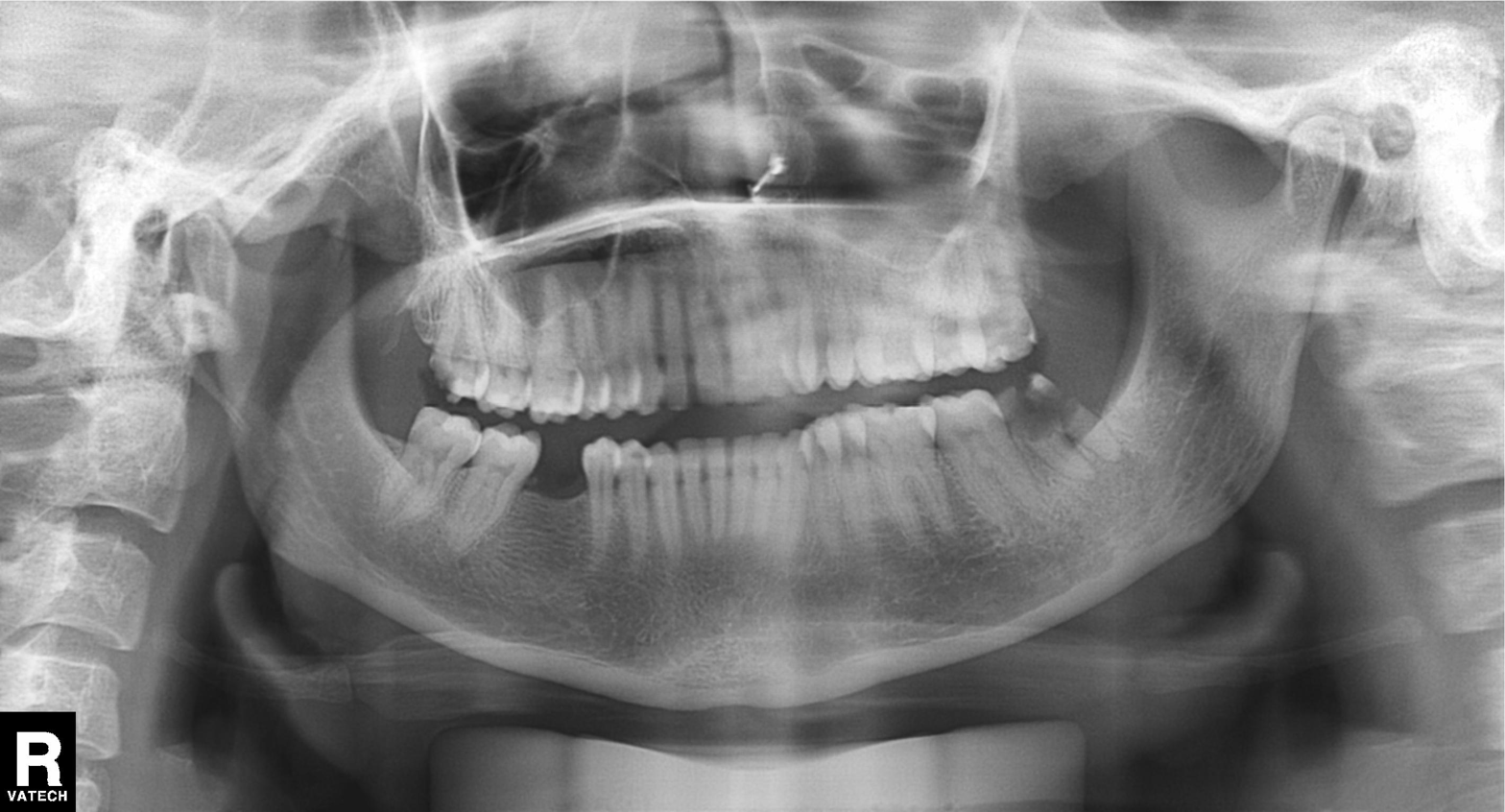
– modality · panoramic dental radiograph (orthopantomogram)
– finding · alveolar bone loss